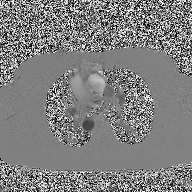
Summary: 2D phase-contrast cine MRI of the ascending aorta, high-resolution GRAPPA acquisition.